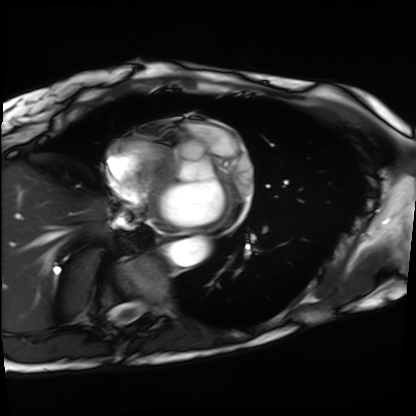
Clinical context:
Cardiac MRI. Subject group: patient.